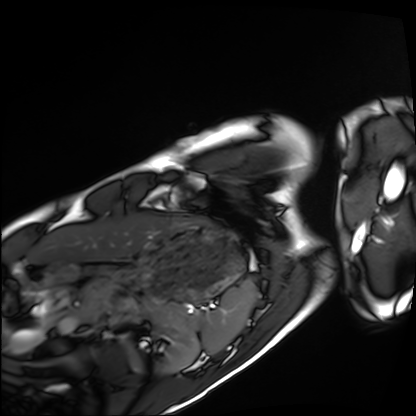
Cardiac MRI. Subject group: healthy volunteer.